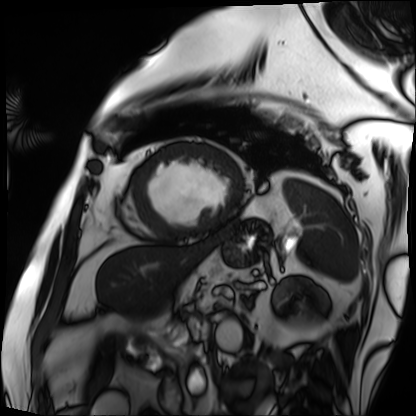
{
  "modality": "cardiac MRI",
  "cohort": "patient"
}